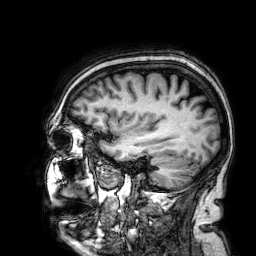
Q: What kind of scan is this?
A: 3 Tesla brain MRI.
Q: Series?
A: 3D T1-weighted.
Study: ring-enhancing brain masses.